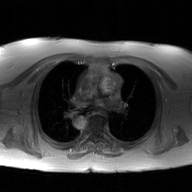
2D phase-contrast cine MRI of the ascending aorta, GAN super-resolution reconstruction.